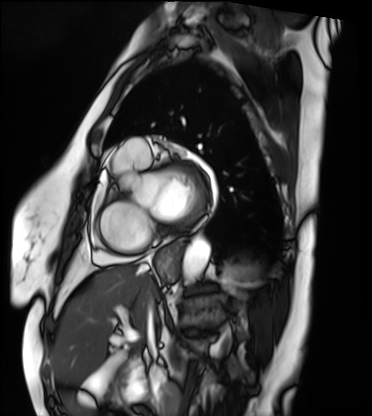
Clinical context: Cardiac MRI. Subject group: patient.